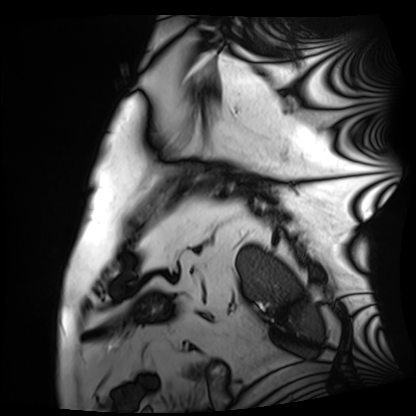
Clinical context: Cardiac MRI. Subject group: patient.